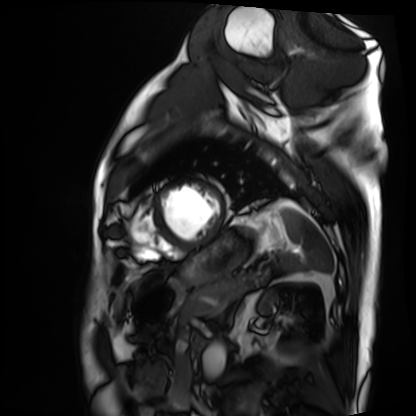
Summary:
Cardiac MRI. Subject group: patient.